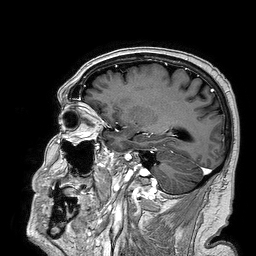
  modality:
    type: brain MRI
    field_strength: 3T
  series: 3D T1-weighted turbo field echo
  study_topic: ring-enhancing brain masses